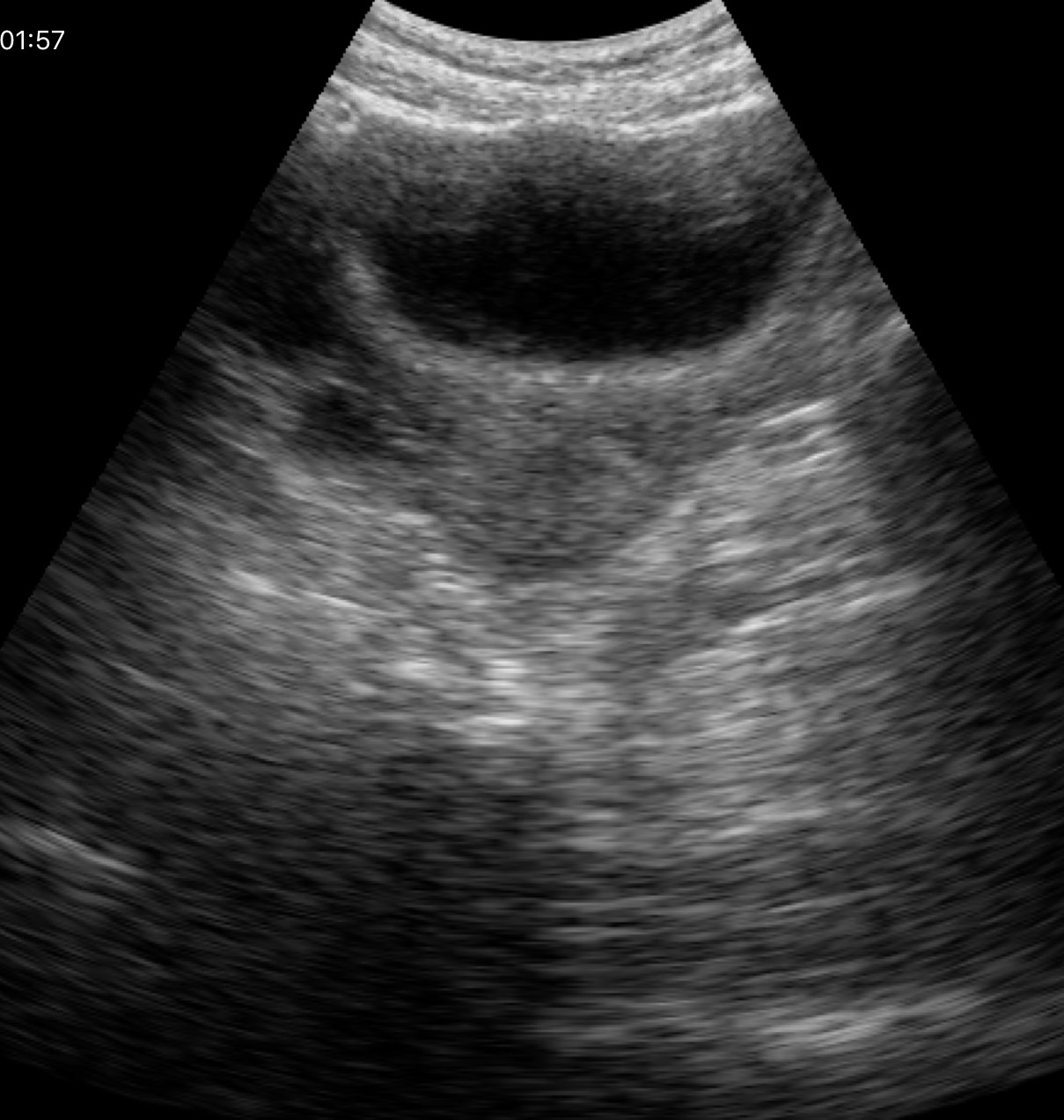
modality: genitourinary ultrasound.